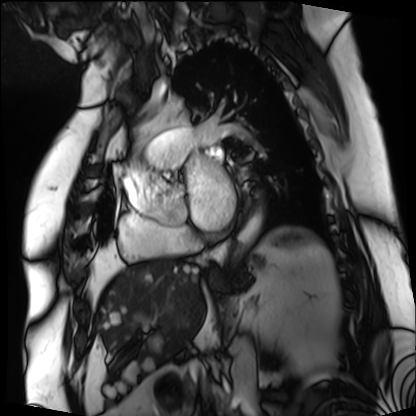
* modality — cardiac MRI
* subject group — patient